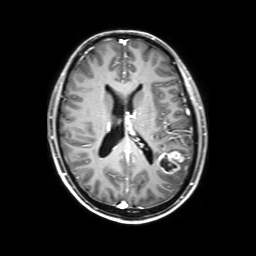
{"modality": {"type": "brain MRI", "field_strength": "3T"}, "series": "3D T1-weighted with SENSE", "study_topic": "ring-enhancing brain masses"}